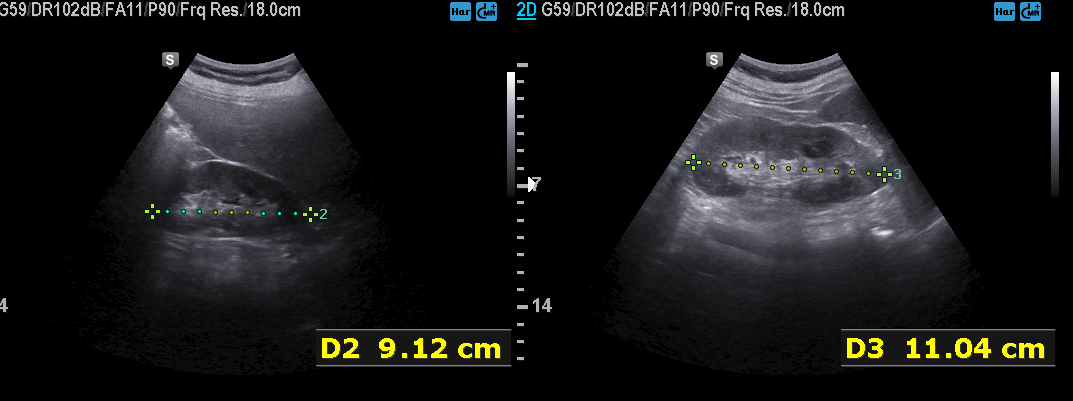
Genitourinary ultrasound.